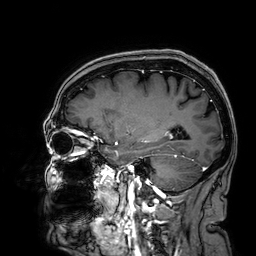
3 Tesla brain MRI.
Series: 3D T1-weighted.
Study: ring-enhancing brain masses.